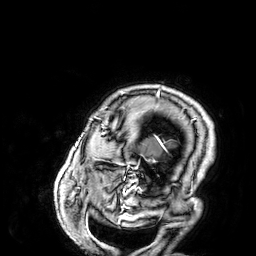
Clinical context: 3 Tesla brain MRI. Series: 3D T1-weighted. Study: ring-enhancing brain masses.